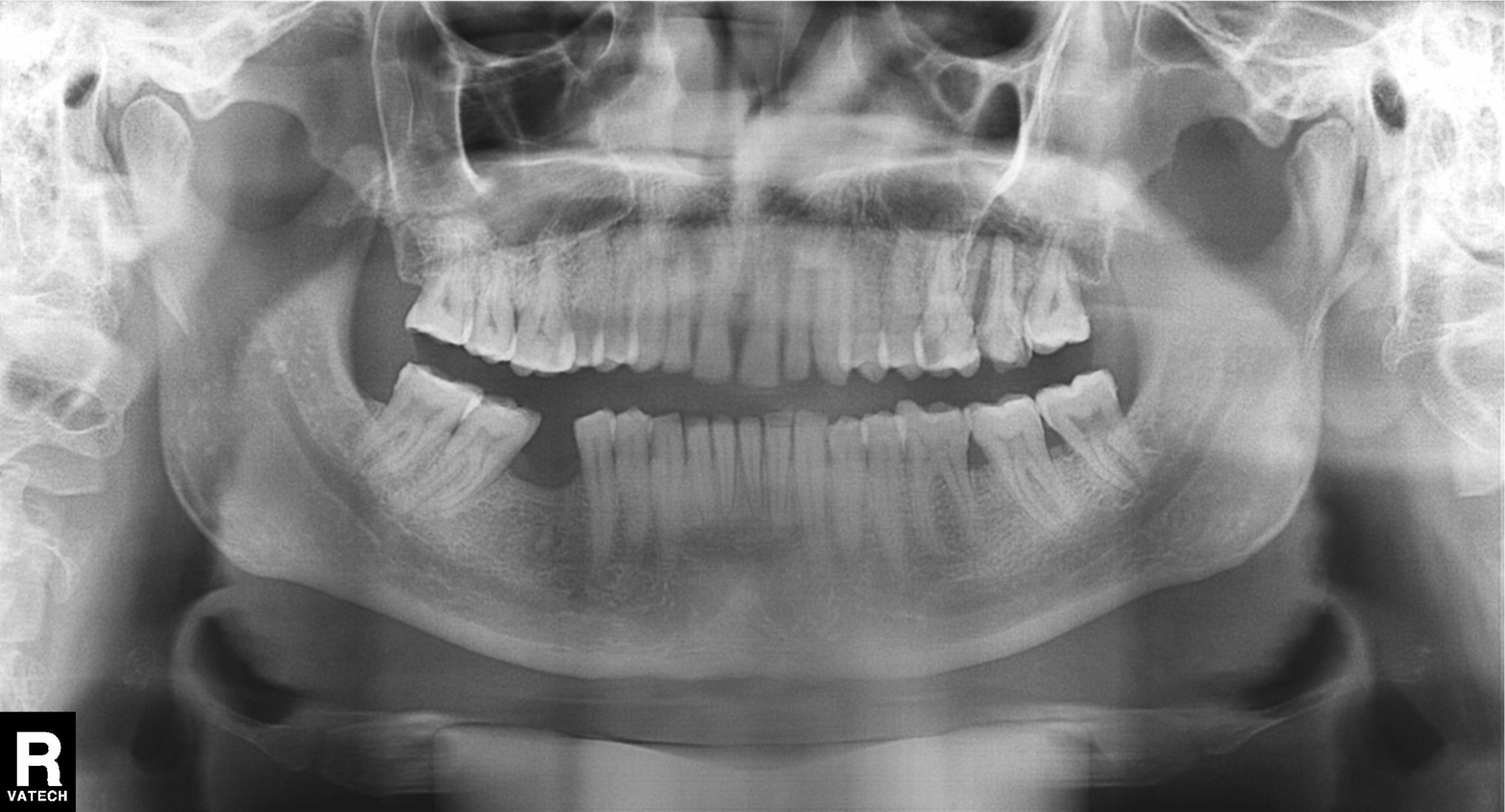
Panoramic dental radiograph (orthopantomogram). Finding: alveolar bone loss.